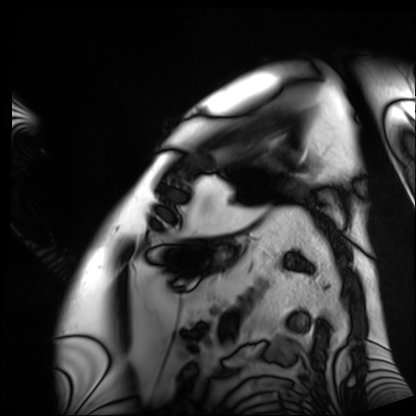
Summary:
Cardiac MRI. Subject group: patient.